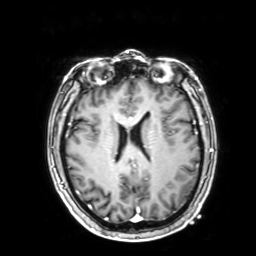
Case summary: 3 Tesla brain MRI. Series: 3D T1-weighted with SENSE. Study: ring-enhancing brain masses.